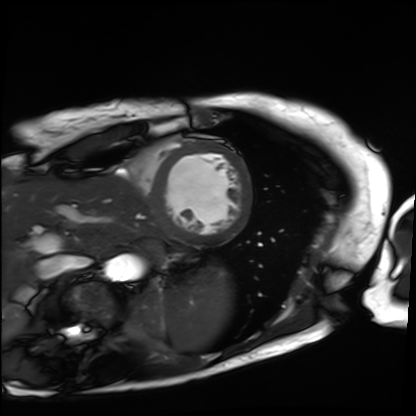
Cardiac MRI. Subject group: patient.